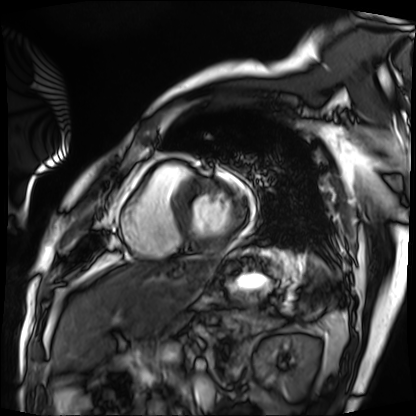
{
  "modality": "cardiac MRI",
  "cohort": "patient"
}